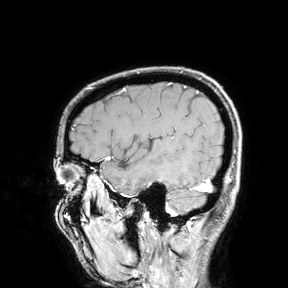
3 Tesla brain MRI.
Study: ring-enhancing brain masses.